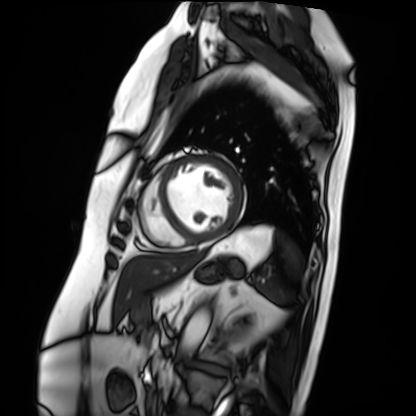
<study>
  <modality>cardiac MRI</modality>
  <cohort>patient</cohort>
</study>